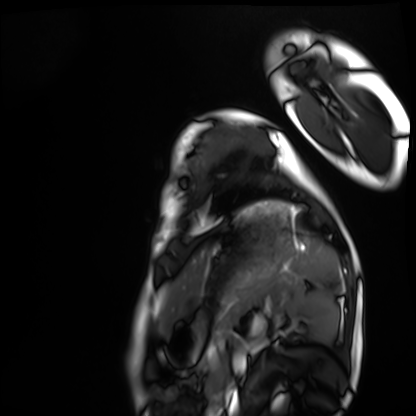
• modality — cardiac MRI
• subject group — healthy volunteer